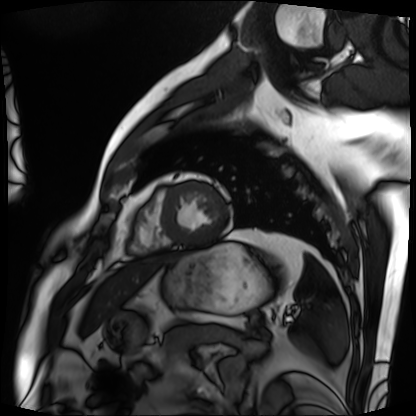
modality = cardiac MRI; subject group = patient.